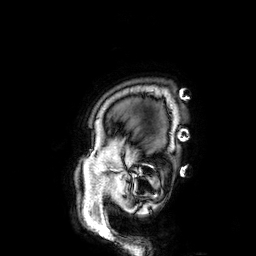
{"modality": {"type": "brain MRI", "field_strength": "3T"}, "series": "3D T1-weighted", "study_topic": "ring-enhancing brain masses"}